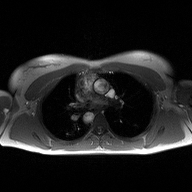
2D phase-contrast cine MRI of the ascending aorta, high-resolution GRAPPA acquisition.